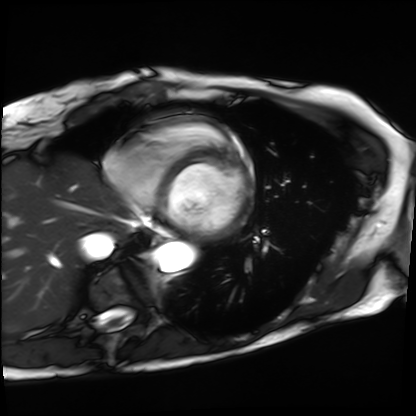
Summary: Cardiac MRI. Subject group: patient.